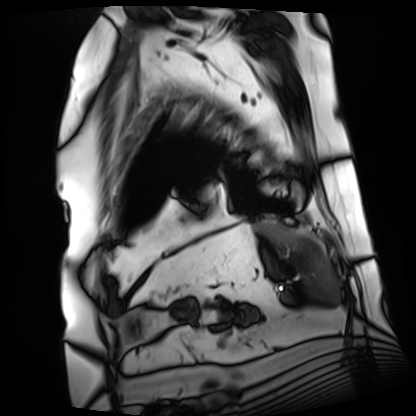
Summary:
Cardiac MRI. Subject group: patient.